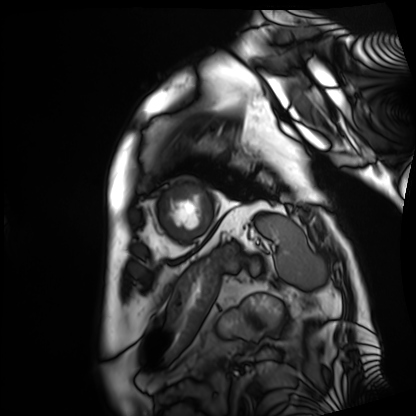
modality: cardiac MRI
cohort: patient